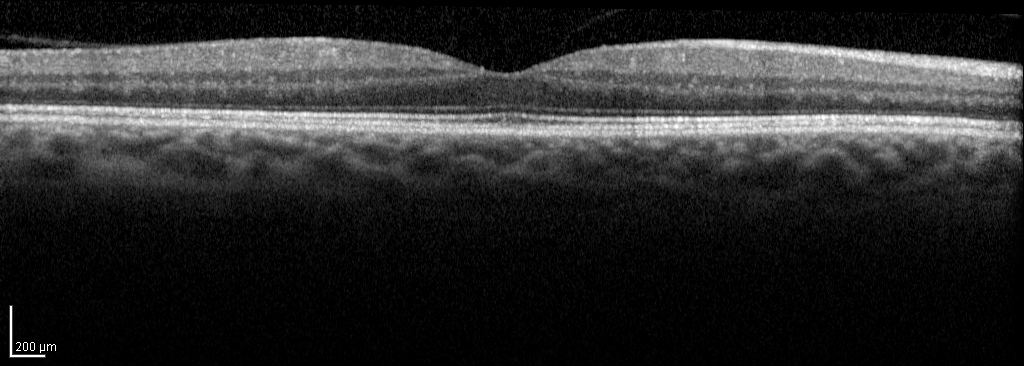
– modality: spectral-domain optical coherence tomography (SD-OCT) of the macula
– cohort: non-diabetic control